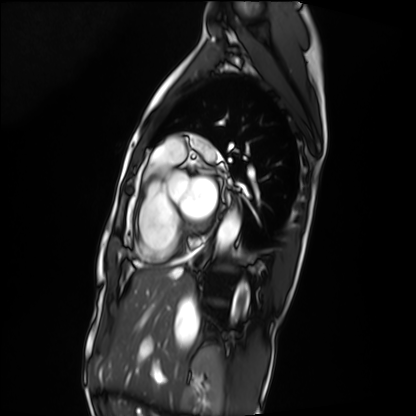
| field | value |
|---|---|
| modality | cardiac MRI |
| subject group | patient |